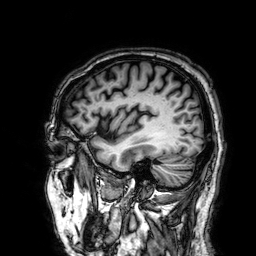
– modality — 3 Tesla brain MRI
– series — 3D T1-weighted
– study — ring-enhancing brain masses